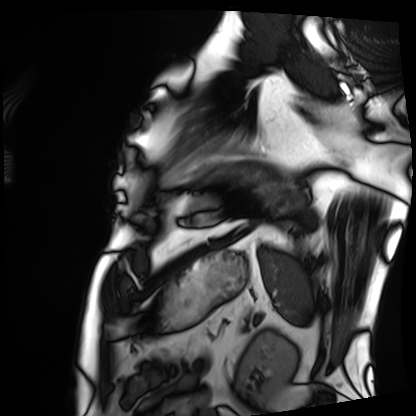
* modality: cardiac MRI
* subject group: patient